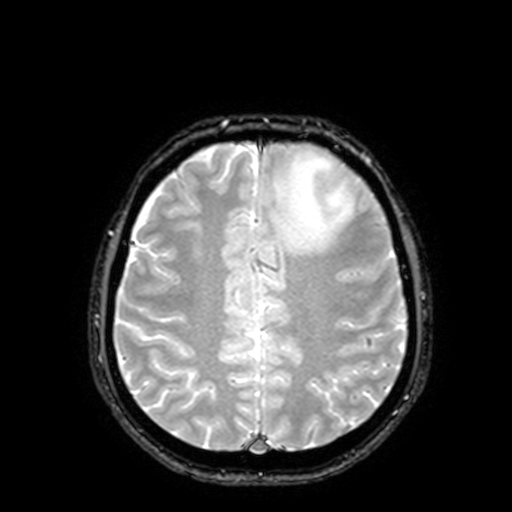
Summary: 3 Tesla brain MRI. Series: T2-weighted fast field echo with SENSE. Study: ring-enhancing brain masses.